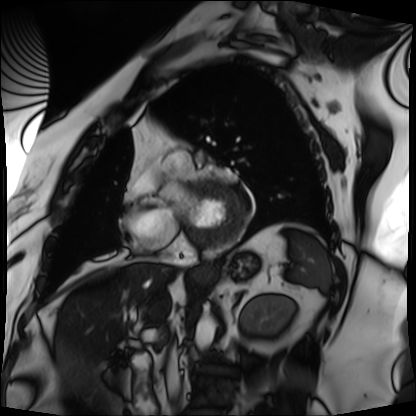
<case>
  <modality>cardiac MRI</modality>
  <cohort>patient</cohort>
</case>